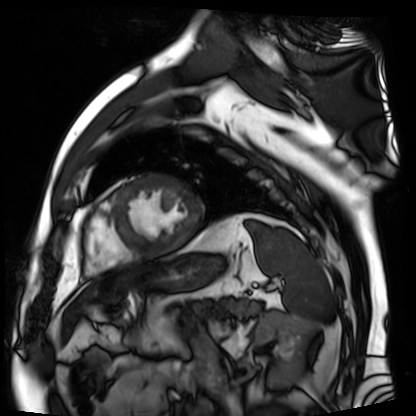
Q: What kind of scan is this?
A: Cardiac MR image of the myocardium.
Subject cohort: cardiac patient.